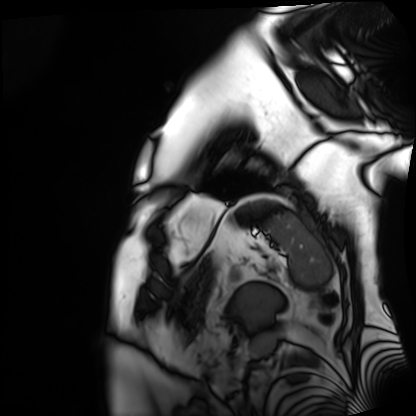
{"modality": "cardiac MRI", "cohort": "patient"}